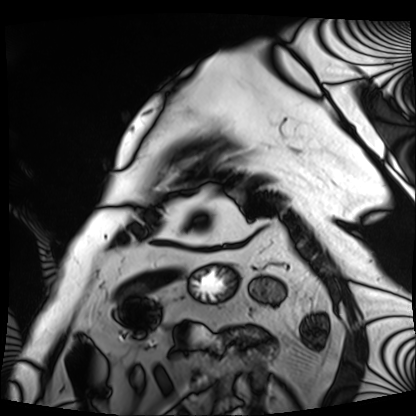
Case:
• modality: cardiac MRI
• subject group: patient